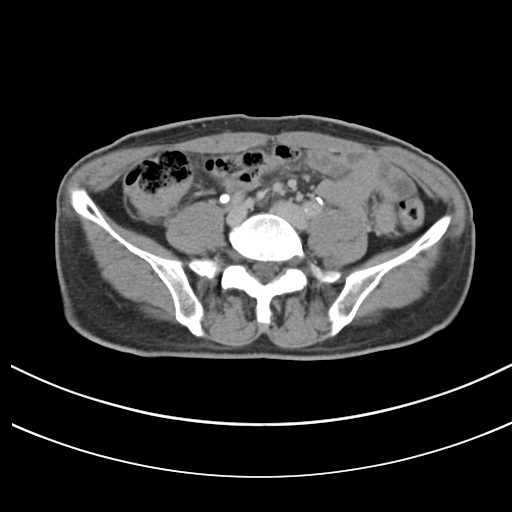
{
  "modality": {
    "type": "multiphase abdominal CT",
    "region": "liver",
    "phase": "delayed"
  },
  "patient": {
    "sex": "male",
    "age": 61
  }
}